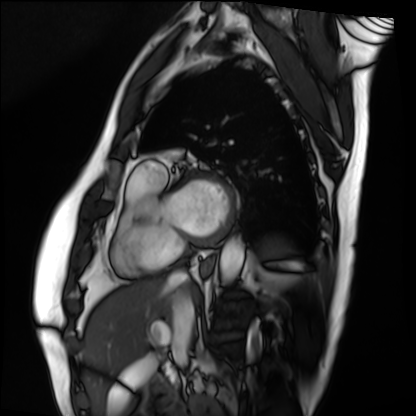
Cardiac MRI. Subject group: patient.